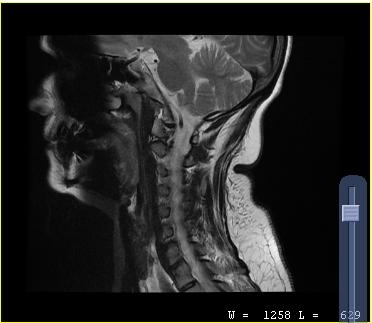
Clinical context:
MRI of the cervical spine. Study: cervical spondylosis.